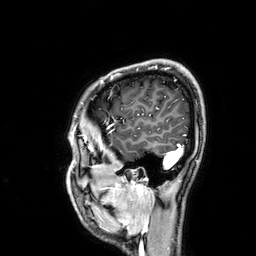
{
  "modality": {
    "type": "brain MRI",
    "field_strength": "3T"
  },
  "series": "3D T1-weighted",
  "study_topic": "ring-enhancing brain masses"
}